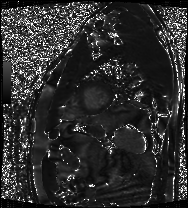
Clinical context: Cardiac MRI. Subject group: patient.